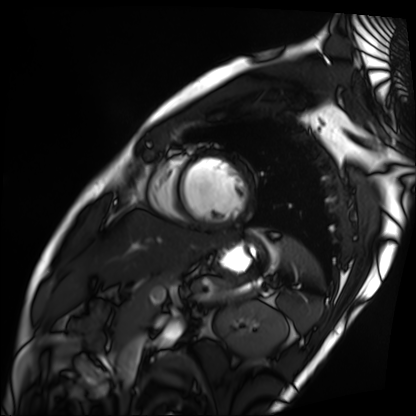
– modality — cardiac MRI
– subject group — patient